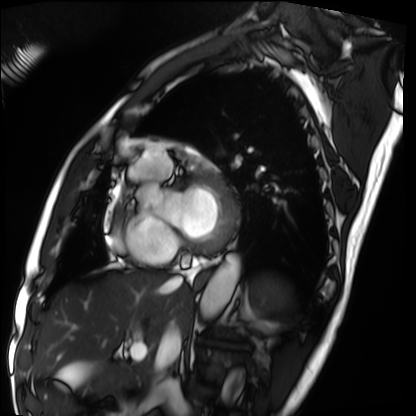
Cardiac MRI.
Subject group: patient.